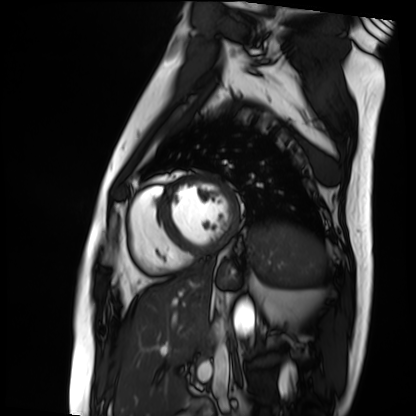
Q: What kind of scan is this?
A: Cardiac MRI.
Subject group: patient.